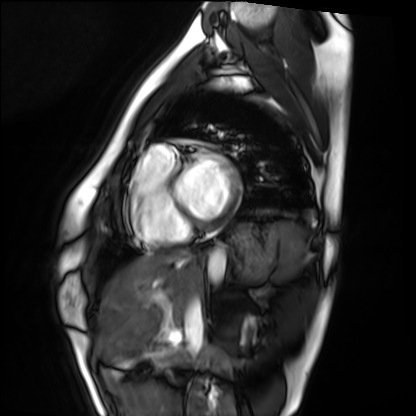
Q: What kind of scan is this?
A: Cardiac MRI.
Subject group: healthy volunteer.